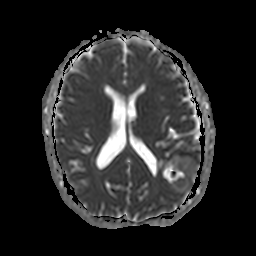
Case:
– modality: 3 Tesla brain MRI
– series: apparent diffusion coefficient (ADC) map
– study: ring-enhancing brain masses